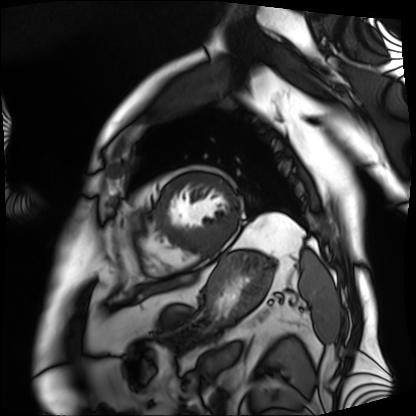
modality = cardiac MRI, subject group = patient.